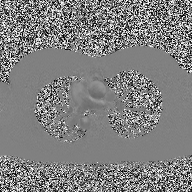
modality: 2D phase-contrast cine MRI of the ascending aorta.